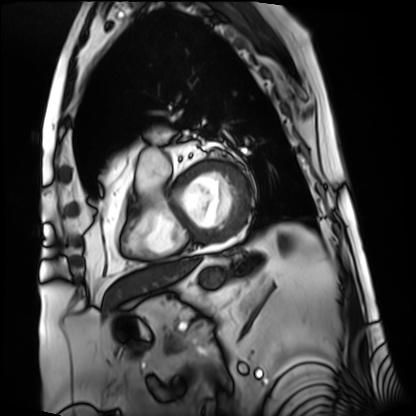
{"modality": "cardiac MRI", "cohort": "patient"}